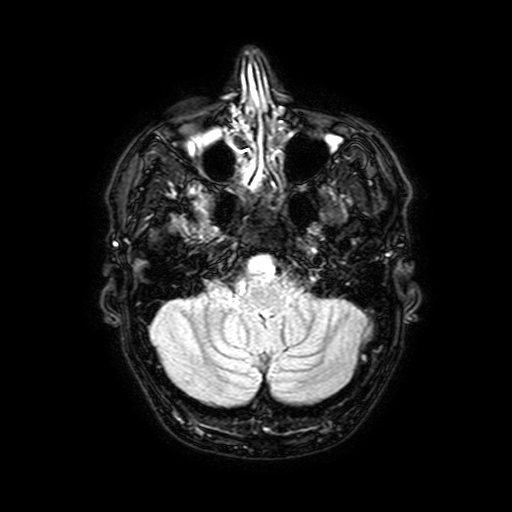
<scan>
  <modality>
    <type>brain MRI</type>
    <field_strength>3T</field_strength>
  </modality>
  <series>FLAIR with SPAIR, 3 mm</series>
  <study_topic>ring-enhancing brain masses</study_topic>
</scan>